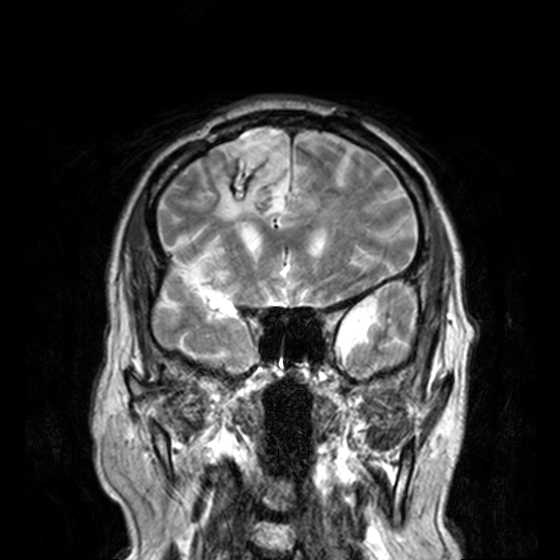
3 Tesla brain MRI.
Series: T2-weighted turbo spin echo, 3 mm.
Study: ring-enhancing brain masses.